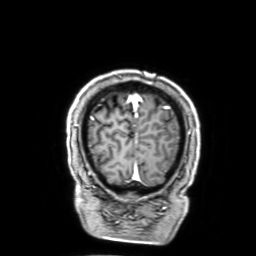
3 Tesla brain MRI. Series: 3D T1-weighted with SENSE. Study: ring-enhancing brain masses.